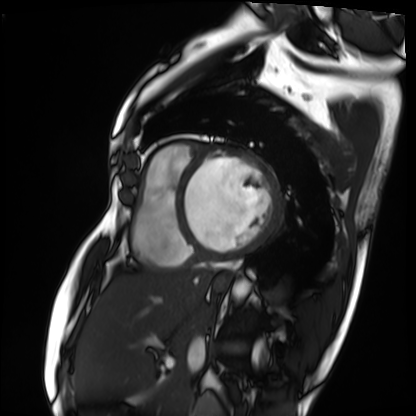
| field | value |
|---|---|
| modality | cardiac MRI |
| subject group | patient |